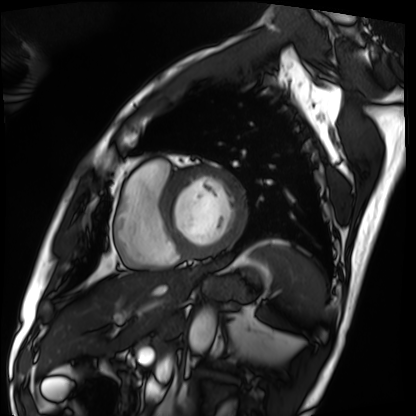
modality: cardiac MRI
subject group: patient